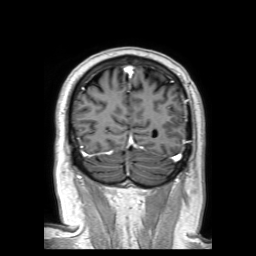
3 Tesla brain MRI. Series: 3D T1-weighted TFE with SENSE. Study: ring-enhancing brain masses.